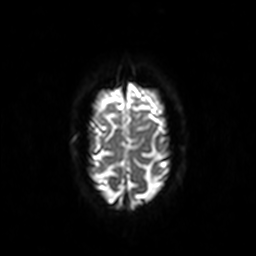
{
  "modality": {
    "type": "brain MRI",
    "field_strength": "3T"
  },
  "series": "diffusion-weighted imaging",
  "study_topic": "ring-enhancing brain masses"
}